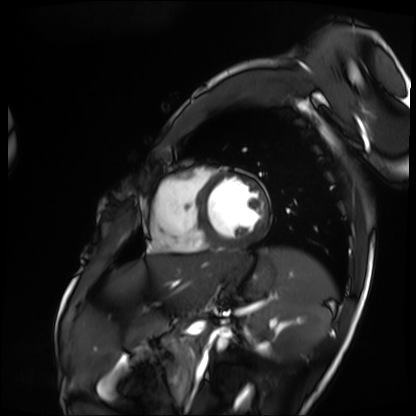
Summary: Cardiac MRI. Subject group: patient.